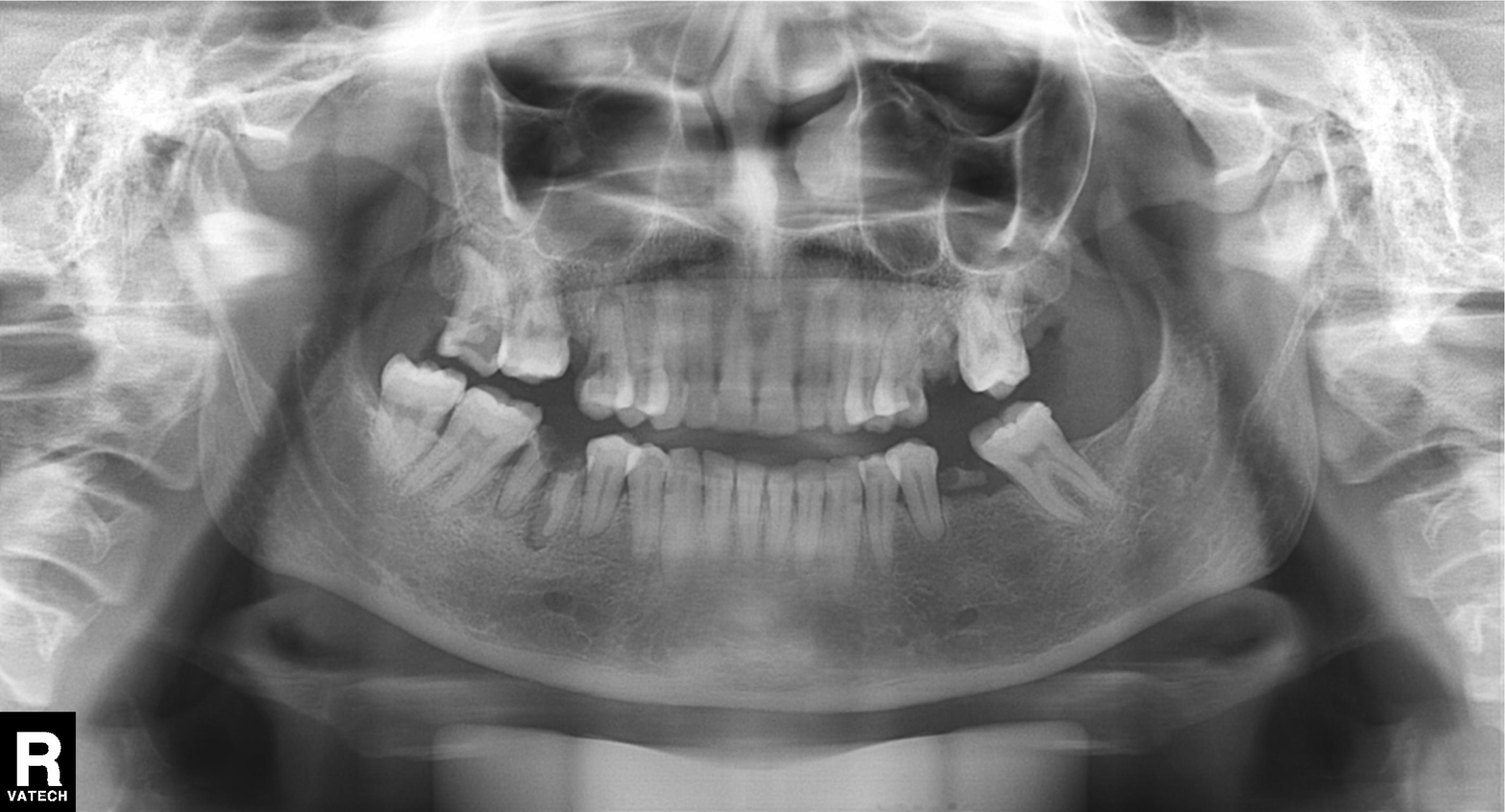
Panoramic dental radiograph (orthopantomogram). Finding: tooth impaction.